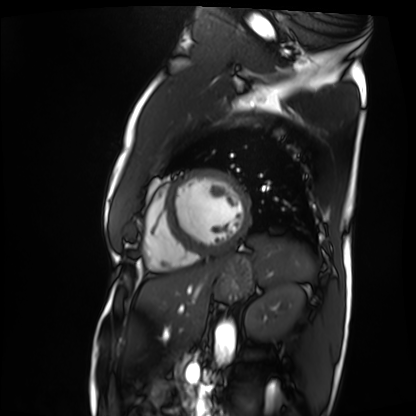
Cardiac MRI.
Subject group: patient.